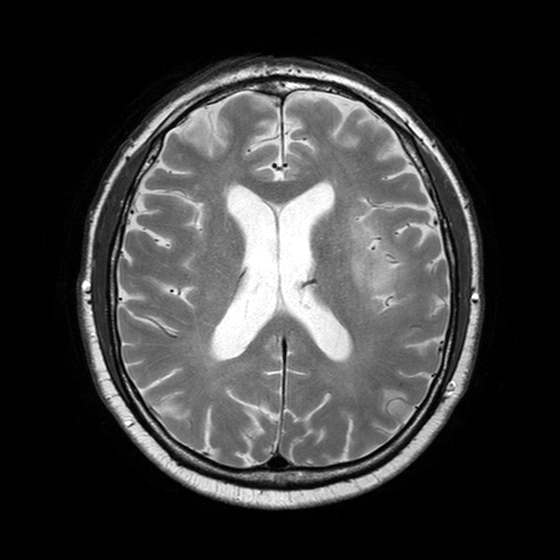
Case summary: 3 Tesla brain MRI. Series: T2-weighted turbo spin echo with SENSE. Study: ring-enhancing brain masses.